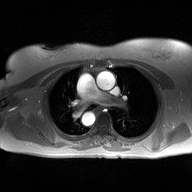
Summary:
2D phase-contrast cine MRI of the ascending aorta, high-resolution GRAPPA acquisition.